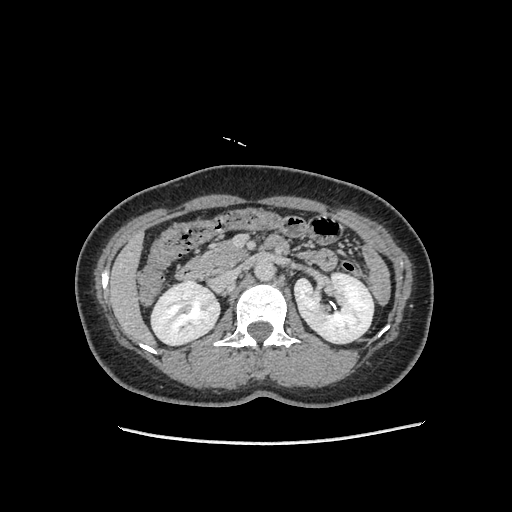
* modality · multiphase abdominal CT, liver, delayed phase
* patient · female, age 49